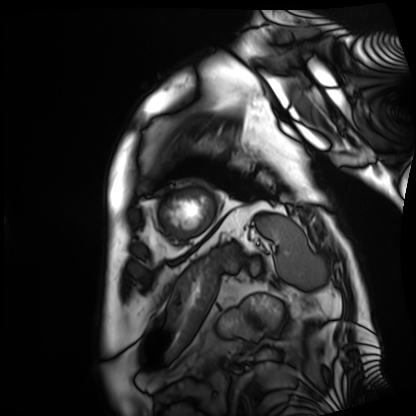
Cardiac MRI.
Subject group: patient.